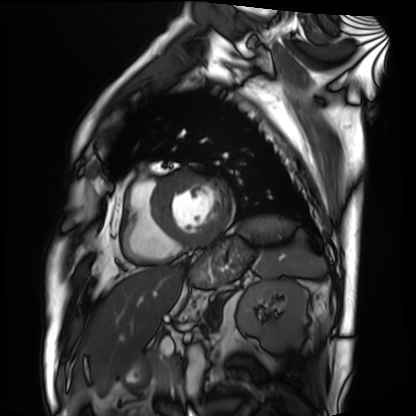
  modality: cardiac MRI
  cohort: patient